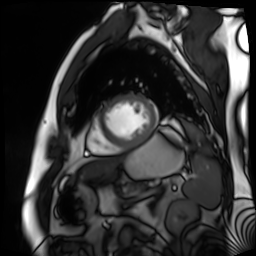
Cardiac MR image of the myocardium. Subject cohort: cardiac patient.